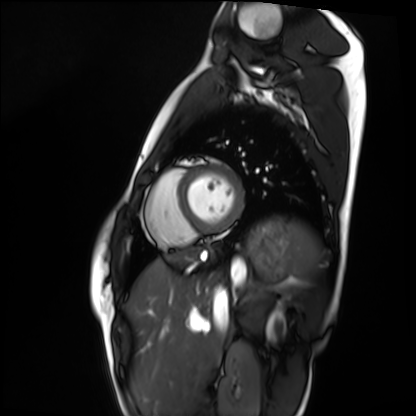
Cardiac MRI. Subject group: healthy volunteer.